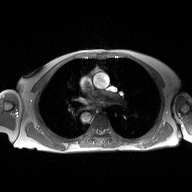
Q: What kind of scan is this?
A: 2D phase-contrast cine MRI of the ascending aorta.